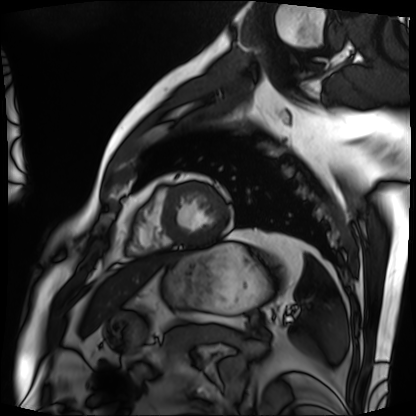
| field | value |
|---|---|
| modality | cardiac MRI |
| subject group | patient |